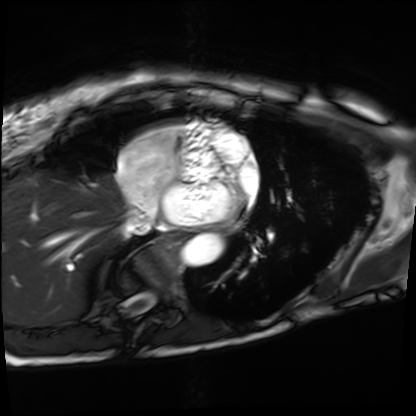
Summary: Cardiac MRI. Subject group: patient.